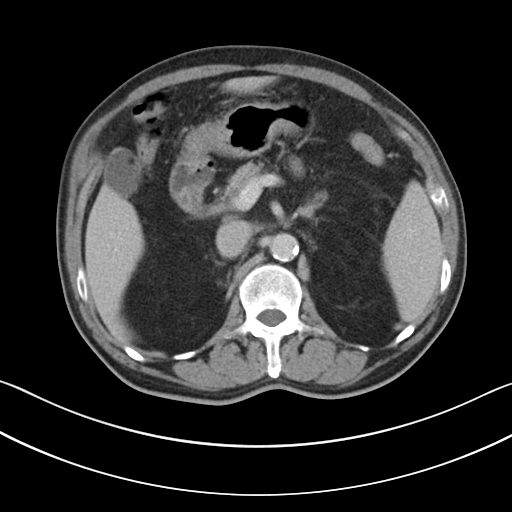
Multiphase abdominal CT, liver, portal venous phase.
Patient: male, age 69.
History: cirrhosis, viral hepatitis.